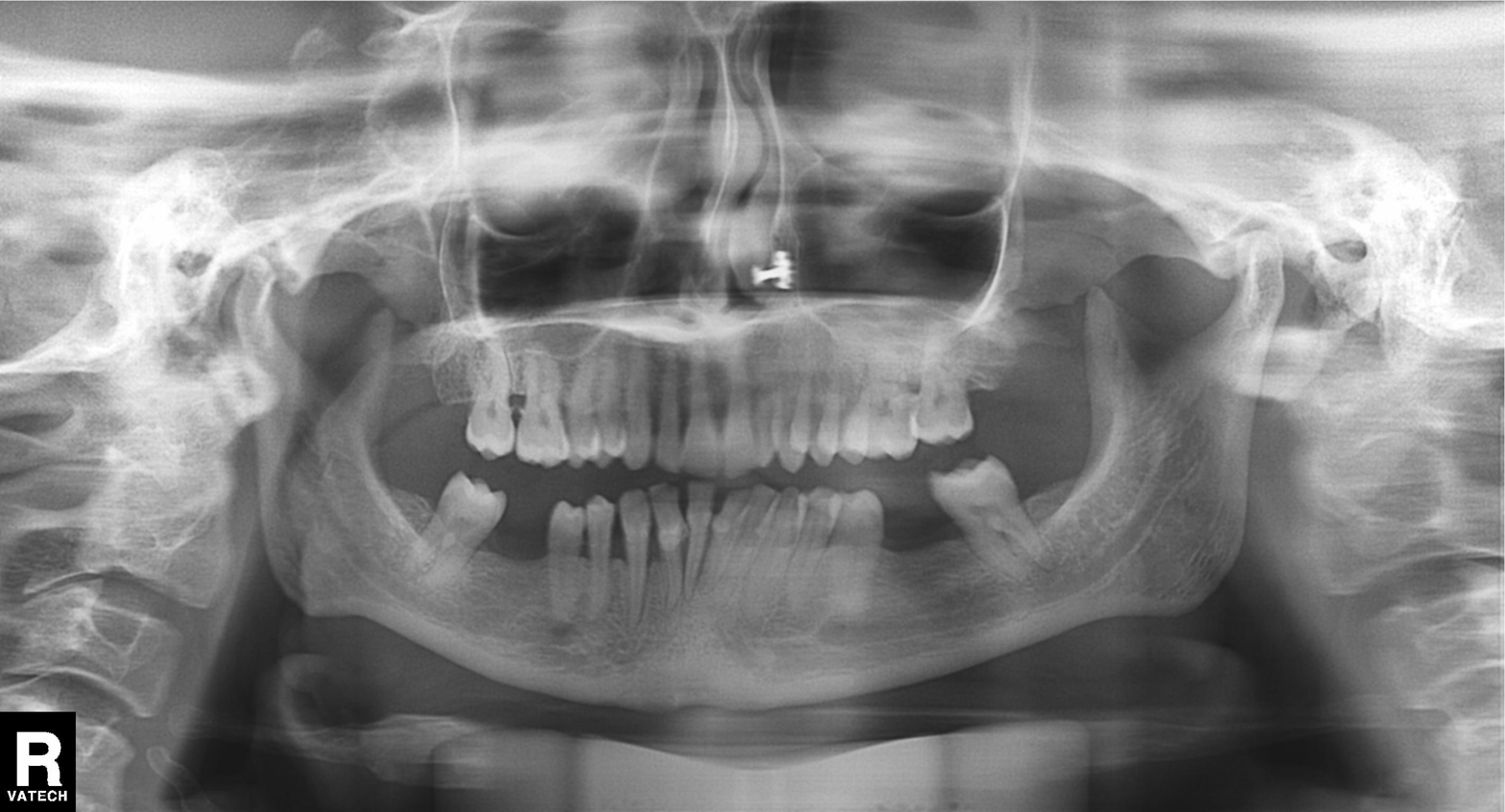
<study>
<modality>panoramic dental radiograph (orthopantomogram)</modality>
<finding>alveolar bone loss</finding>
</study>